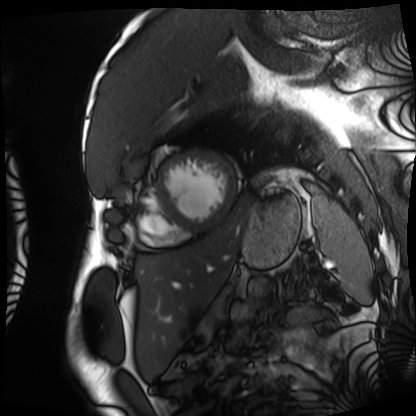
Cardiac MRI. Subject group: patient.